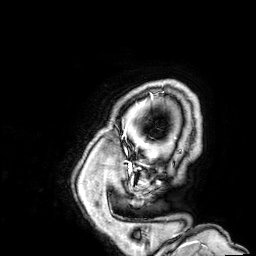
3 Tesla brain MRI. Series: 3D T1-weighted. Study: ring-enhancing brain masses.